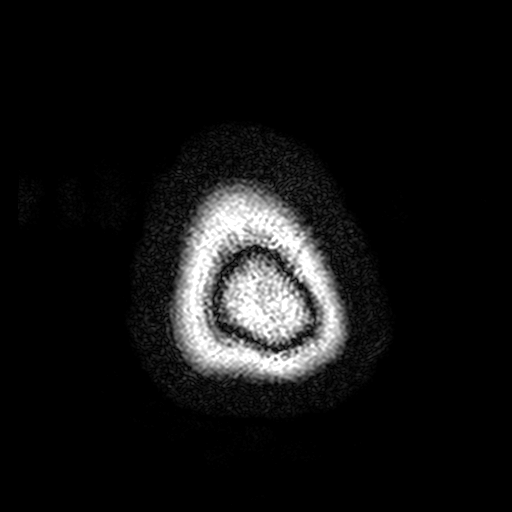
Case summary:
3 Tesla brain MRI. Series: FLAIR with SPAIR, 3 mm. Study: ring-enhancing brain masses.